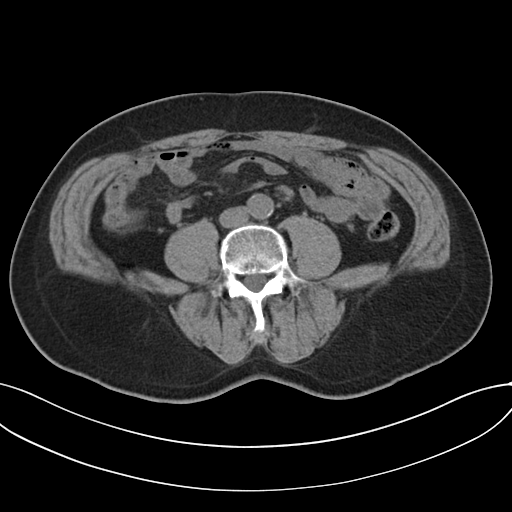
{
  "modality": {
    "type": "multiphase abdominal CT",
    "region": "liver",
    "phase": "non-contrast"
  },
  "patient": {
    "sex": "male",
    "age": 64
  }
}